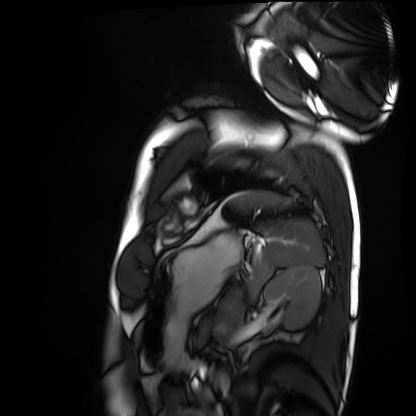
<scan>
<modality>cardiac MRI</modality>
<cohort>healthy volunteer</cohort>
</scan>